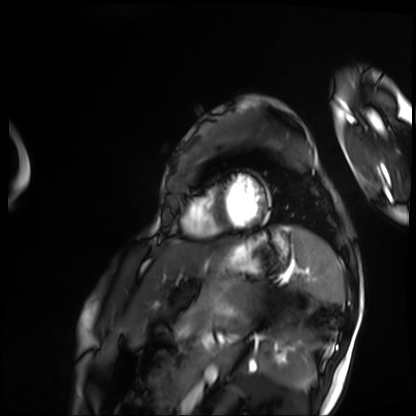
modality: cardiac MRI, subject group: patient.